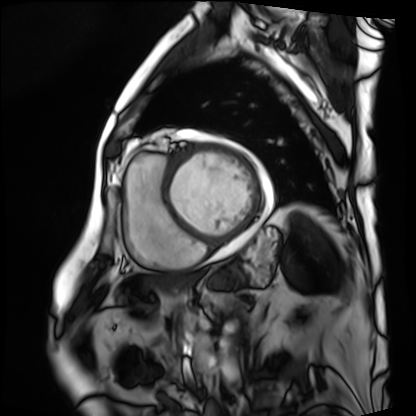
<study>
  <modality>cardiac MRI</modality>
  <cohort>patient</cohort>
</study>